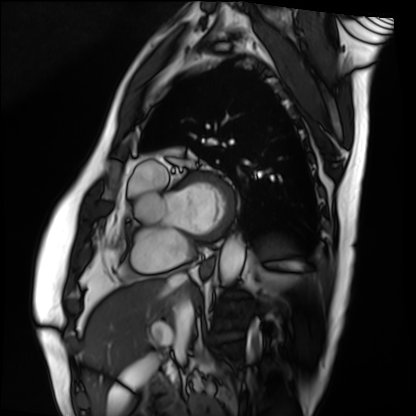
Summary:
Cardiac MRI. Subject group: patient.